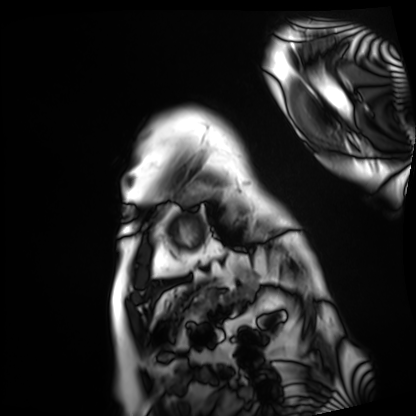
Summary: Cardiac MRI. Subject group: patient.